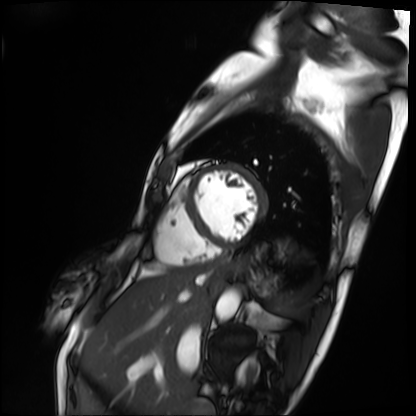
Q: What kind of scan is this?
A: Cardiac MRI.
Subject group: patient.